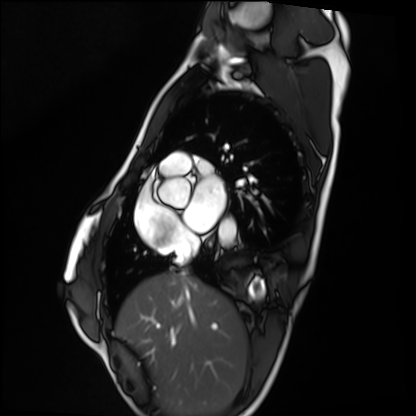
Cardiac MRI. Subject group: healthy volunteer.